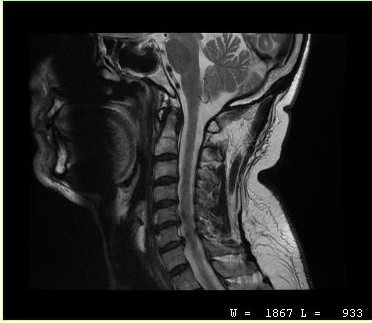
MRI of the cervical spine. Study: cervical spondylosis.